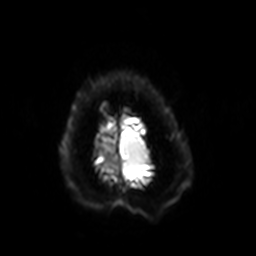
3 Tesla brain MRI.
Series: diffusion-weighted imaging with SENSE (WIP).
Study: ring-enhancing brain masses.